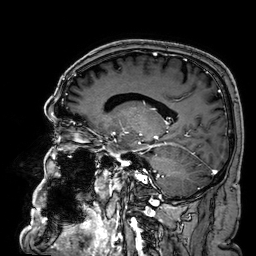
{
  "modality": {
    "type": "brain MRI",
    "field_strength": "3T"
  },
  "series": "3D T1-weighted",
  "study_topic": "ring-enhancing brain masses"
}